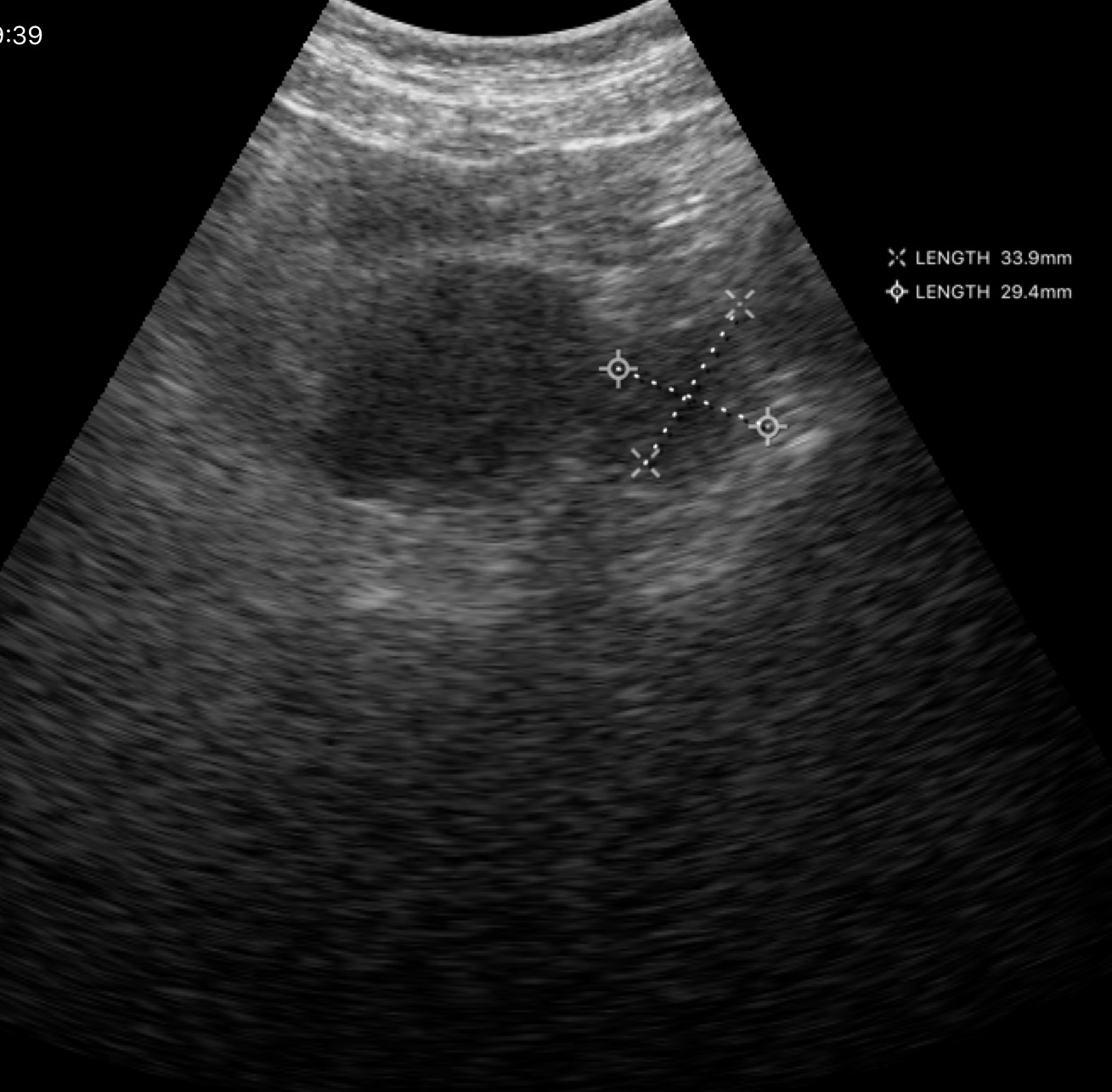
modality = genitourinary ultrasound